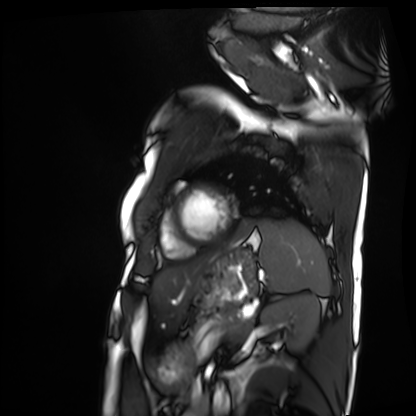
Summary: Cardiac MRI. Subject group: patient.